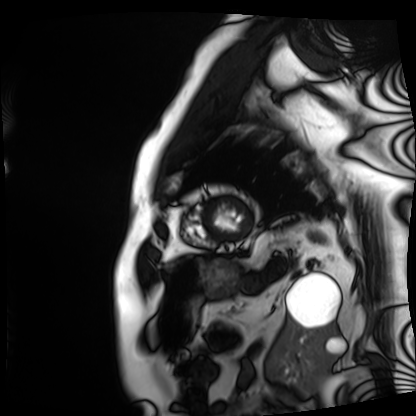
Case summary: Cardiac MRI. Subject group: patient.